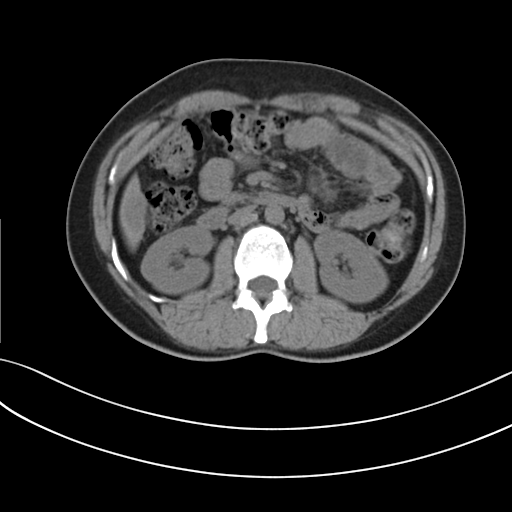
Multiphase abdominal CT, liver, non-contrast phase.